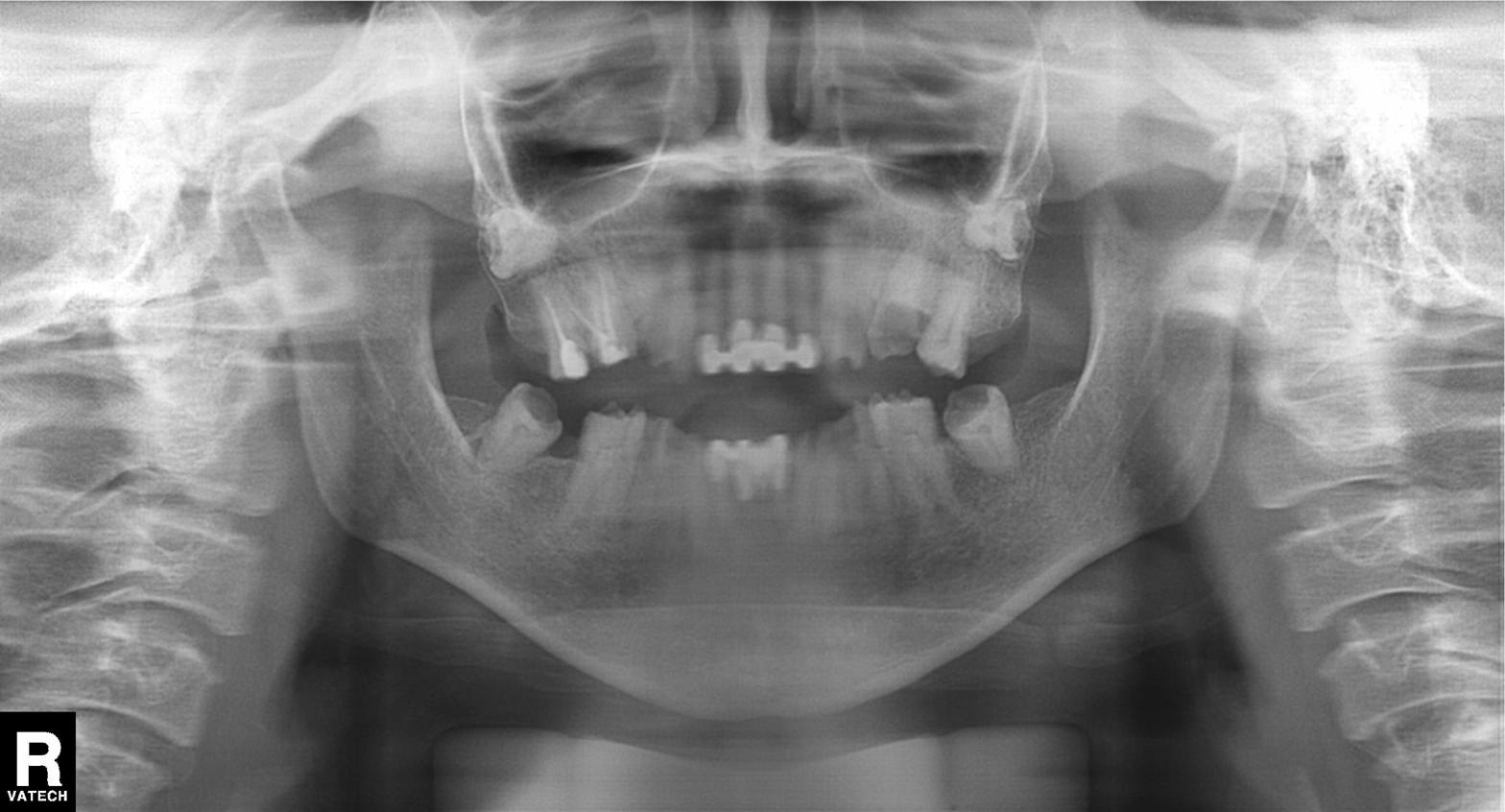
Case summary: Panoramic dental radiograph (orthopantomogram).
Impression: Tooth impaction.